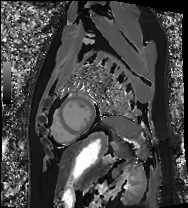
Q: What kind of scan is this?
A: Cardiac MRI.
Subject group: patient.